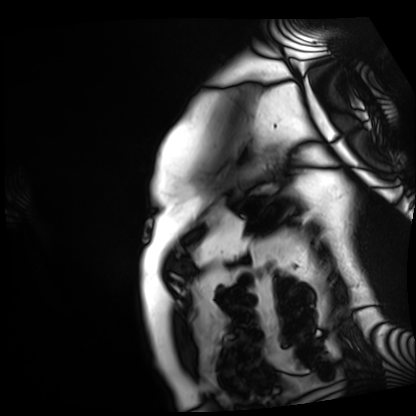
<scan>
  <modality>cardiac MRI</modality>
  <cohort>patient</cohort>
</scan>